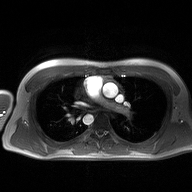
Q: What kind of scan is this?
A: 2D phase-contrast cine MRI of the ascending aorta.